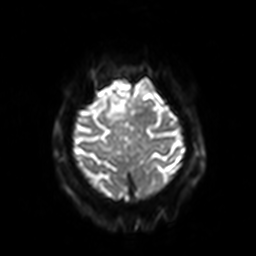
{
  "modality": {
    "type": "brain MRI",
    "field_strength": "3T"
  },
  "series": "diffusion-weighted imaging with SENSE (WIP)",
  "study_topic": "ring-enhancing brain masses"
}